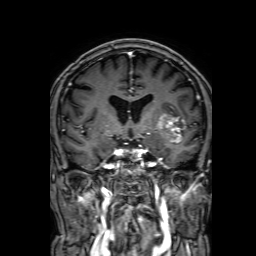
3 Tesla brain MRI.
Series: 3D T1-weighted with SENSE.
Study: ring-enhancing brain masses.